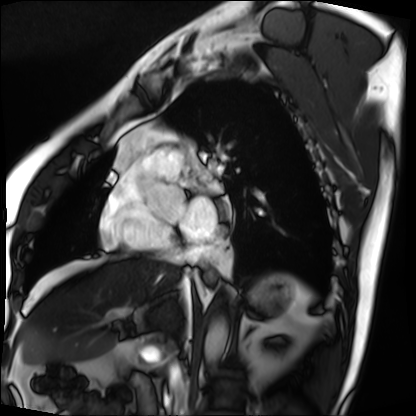
{"modality": "cardiac MRI", "cohort": "patient"}